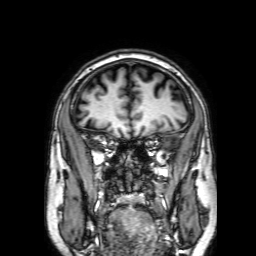
Clinical context:
3 Tesla brain MRI. Series: 3D T1-weighted with SENSE. Study: ring-enhancing brain masses.